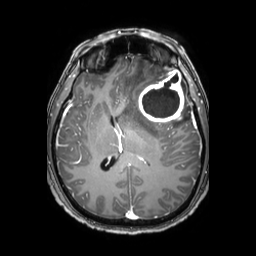
3 Tesla brain MRI.
Series: 3D T1-weighted TFE with SENSE.
Study: ring-enhancing brain masses.